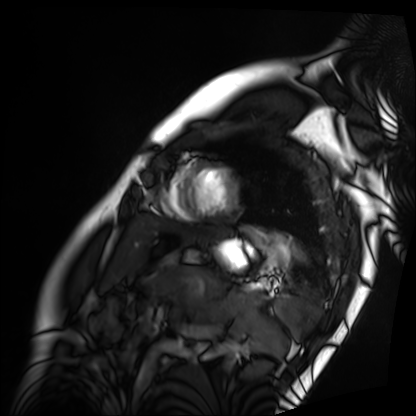
Cardiac MRI. Subject group: patient.